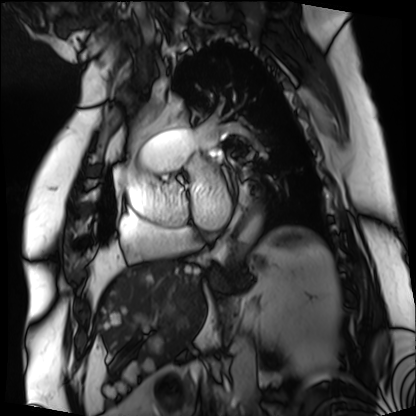
Cardiac MRI.
Subject group: patient.